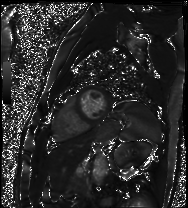
Cardiac MRI. Subject group: patient.